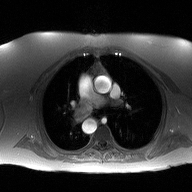
modality:
  type: 2D phase-contrast cine MRI
  region: ascending aorta
  reconstruction: high-resolution GRAPPA acquisition